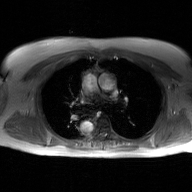
2D phase-contrast cine MRI of the ascending aorta, GAN super-resolution reconstruction.